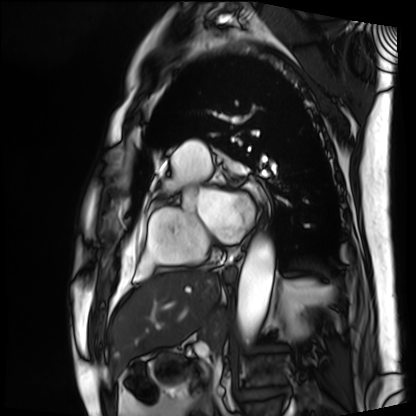
| field | value |
|---|---|
| modality | cardiac MRI |
| subject group | patient |